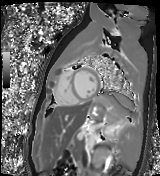
Case summary:
Cardiac MR image of the myocardium. Subject cohort: healthy volunteer.